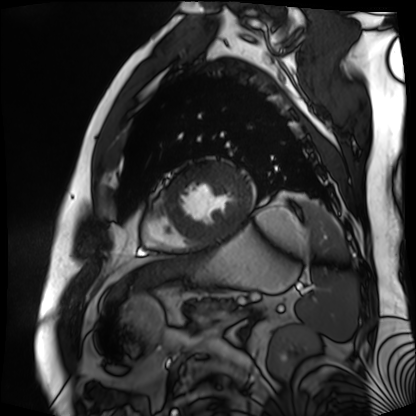
Q: What kind of scan is this?
A: Cardiac MR image of the myocardium.
Subject cohort: cardiac patient.